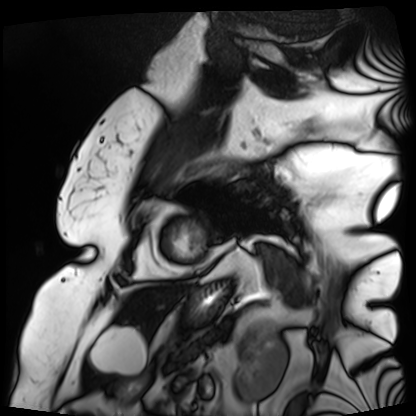
Clinical context: Cardiac MRI. Subject group: patient.